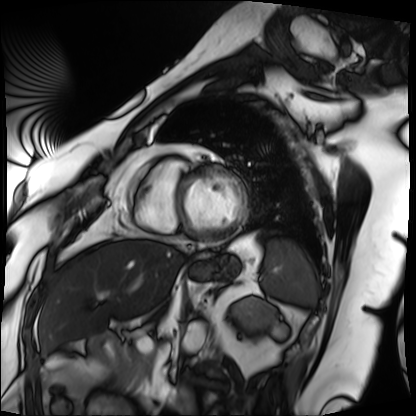
Cardiac MRI. Subject group: patient.